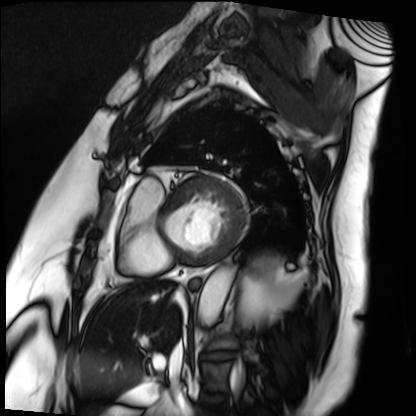
Case:
– modality — cardiac MRI
– subject group — patient